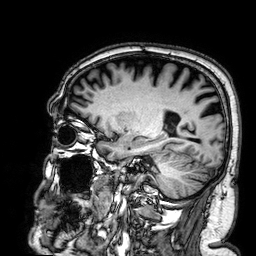
modality:
  type: brain MRI
  field_strength: 3T
series: 3D T1-weighted
study_topic: ring-enhancing brain masses